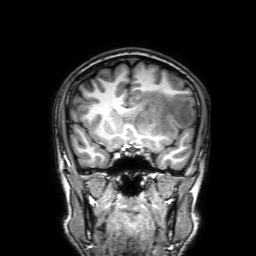
Clinical context:
3 Tesla brain MRI. Series: 3D T1-weighted with SENSE. Study: ring-enhancing brain masses.